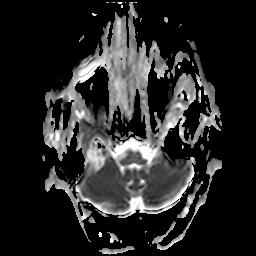
Case:
– modality · 3 Tesla brain MRI
– series · apparent diffusion coefficient (ADC) map
– study · ring-enhancing brain masses